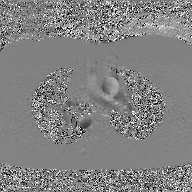
2D phase-contrast cine MRI of the ascending aorta, GAN super-resolution reconstruction.